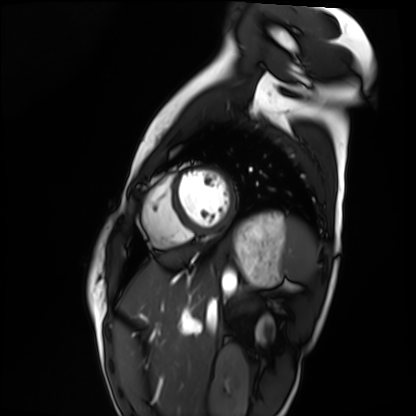
Case summary:
Cardiac MRI. Subject group: healthy volunteer.